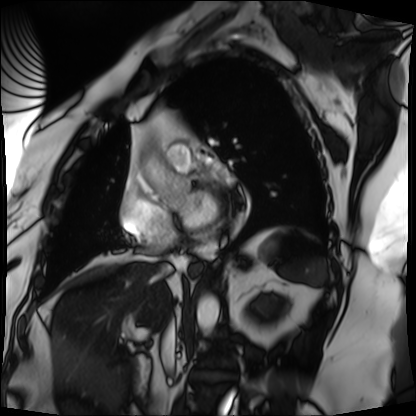
Summary:
Cardiac MRI. Subject group: patient.